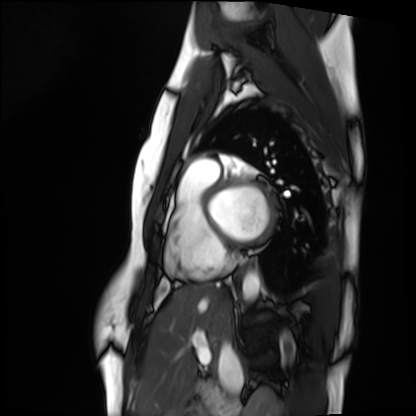
- modality: cardiac MRI
- subject group: healthy volunteer